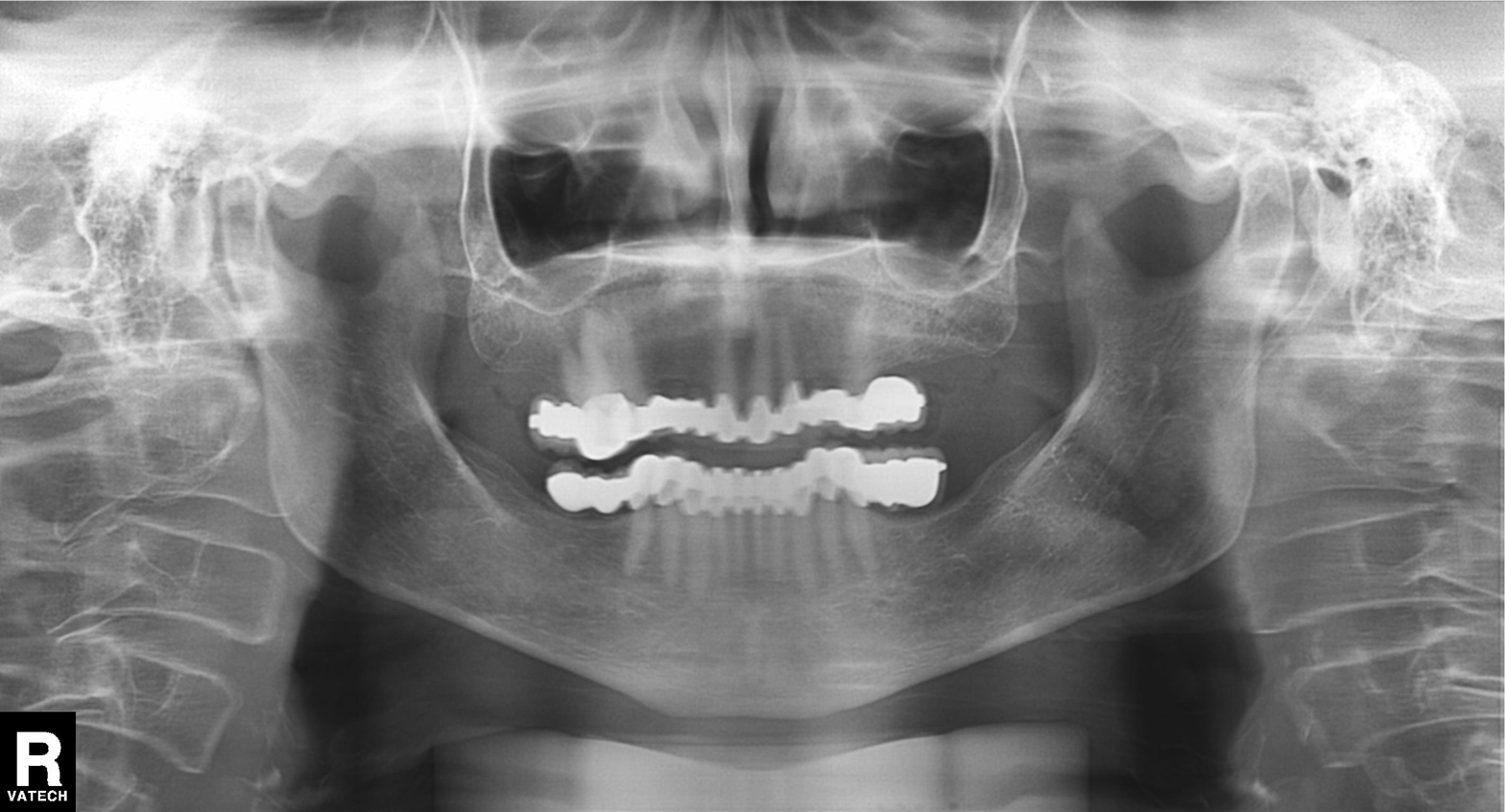
modality=panoramic dental radiograph (orthopantomogram)
finding=dental caries (cavities)